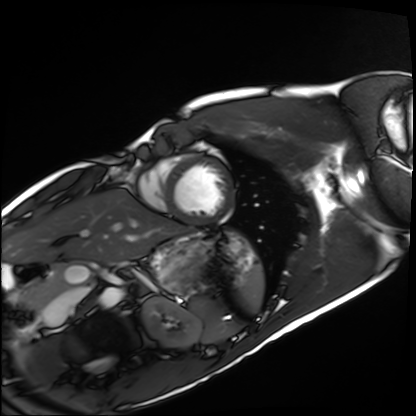
* modality: cardiac MRI
* subject group: healthy volunteer